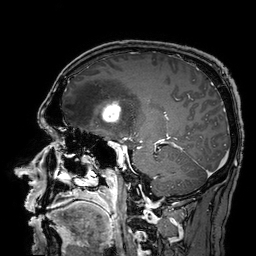
modality: 3 Tesla brain MRI | study: ring-enhancing brain masses.